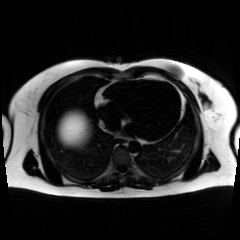
Chemical-shift-encoded cardiac MRI.